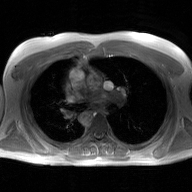
modality=2D phase-contrast cine MRI of the ascending aorta, GAN super-resolution reconstruction